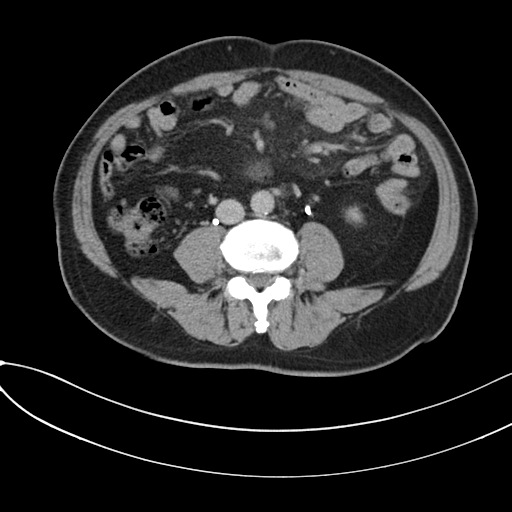
Summary: Multiphase abdominal CT, liver, delayed phase. Patient: male, age 59.